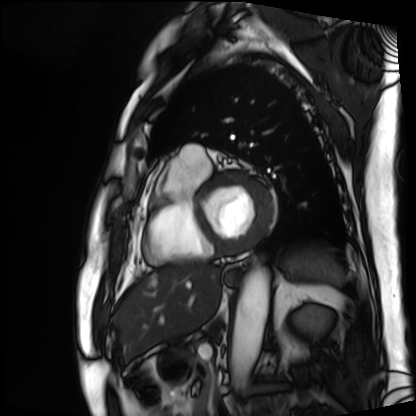
Cardiac MRI. Subject group: patient.